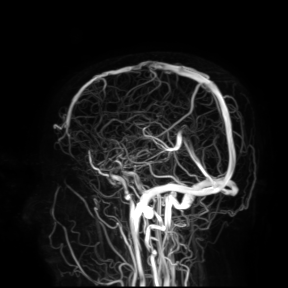
| field | value |
|---|---|
| modality | 3 Tesla brain MRI |
| study | ring-enhancing brain masses |